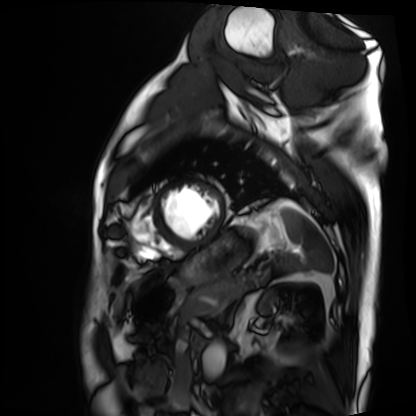
Summary:
Cardiac MRI. Subject group: patient.